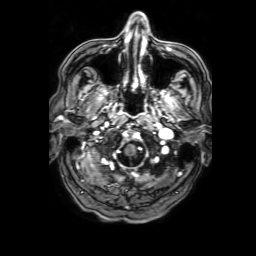
modality = 3 Tesla brain MRI
series = 3D T1-weighted with SENSE
study = ring-enhancing brain masses